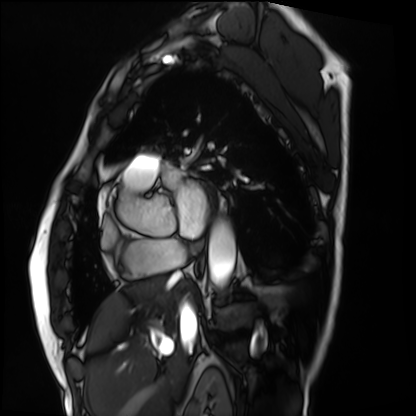
Case summary: Cardiac MRI. Subject group: patient.